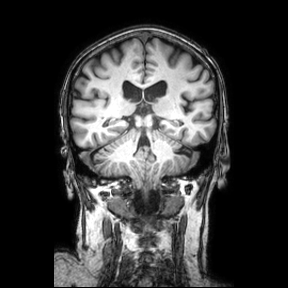
Q: What kind of scan is this?
A: 3 Tesla brain MRI.
Q: Series?
A: Coronal.
Study: ring-enhancing brain masses.